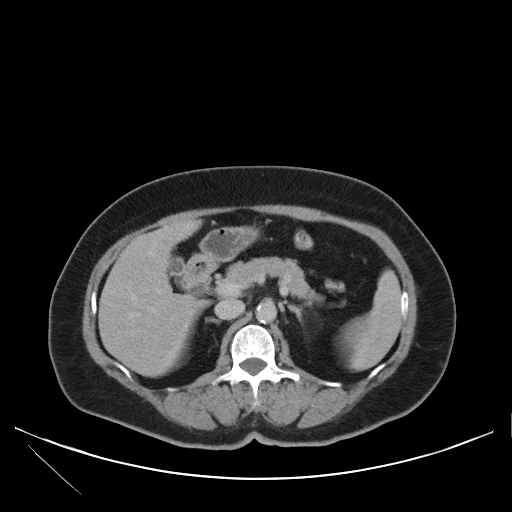
Q: What kind of scan is this?
A: Multiphase abdominal CT, liver, delayed phase.
Q: Patient?
A: Female, age 71.